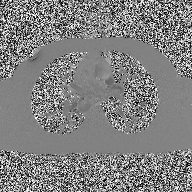
modality: 2D phase-contrast cine MRI of the ascending aorta.